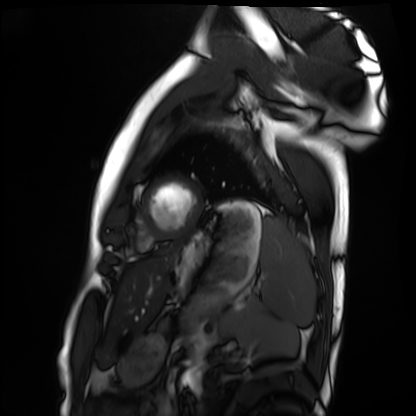
Cardiac MRI.
Subject group: healthy volunteer.